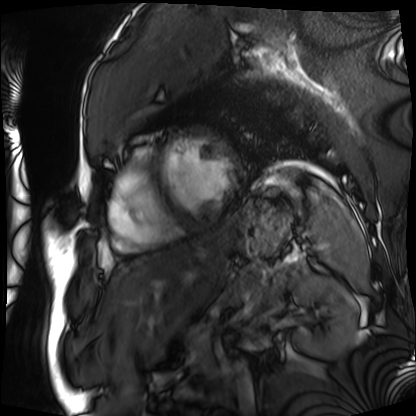
Cardiac MRI. Subject group: patient.